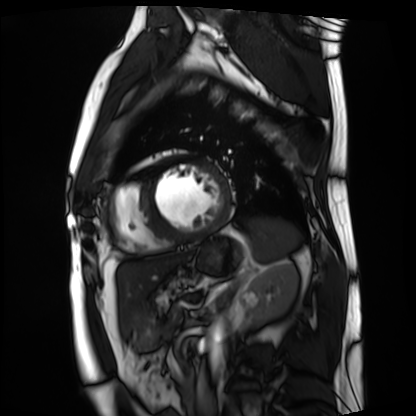
modality = cardiac MRI, subject group = patient.